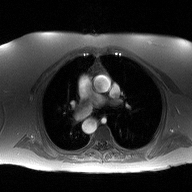
  modality:
    type: 2D phase-contrast cine MRI
    region: ascending aorta
    reconstruction: high-resolution GRAPPA acquisition